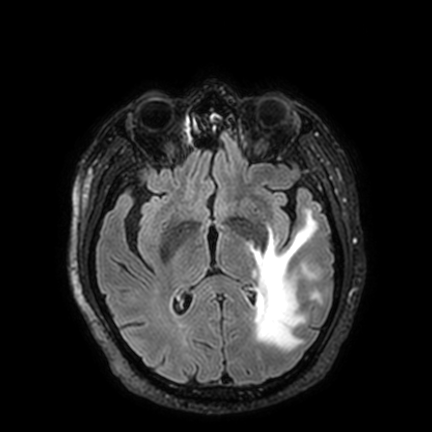
modality: 3 Tesla brain MRI
series: FLAIR VISTA with SENSE
study: ring-enhancing brain masses